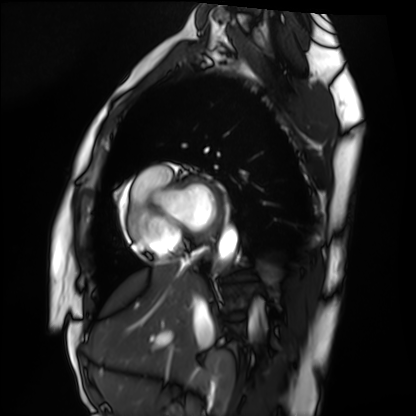
Q: What kind of scan is this?
A: Cardiac MRI.
Subject group: healthy volunteer.